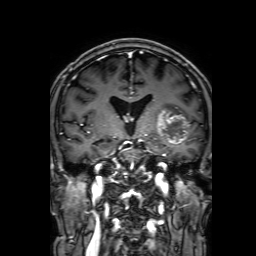
modality = 3 Tesla brain MRI
series = 3D T1-weighted with SENSE
study = ring-enhancing brain masses